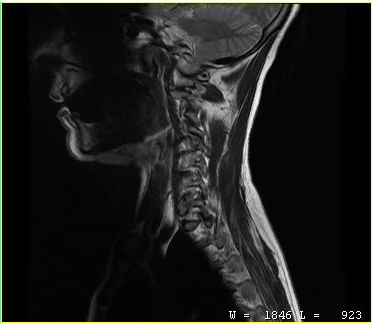
MRI of the cervical spine. Study: cervical spondylosis.